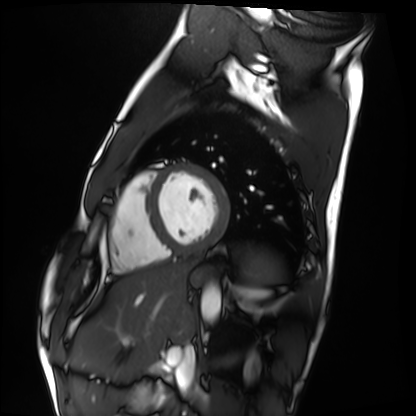
modality — cardiac MRI | subject group — healthy volunteer.